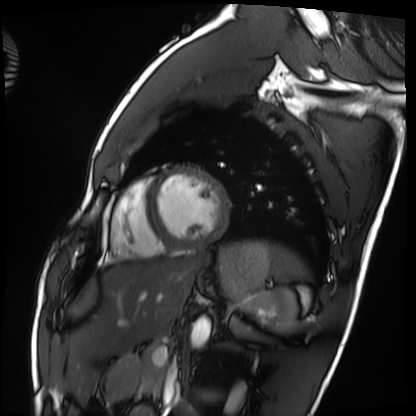
  modality: cardiac MRI
  cohort: healthy volunteer